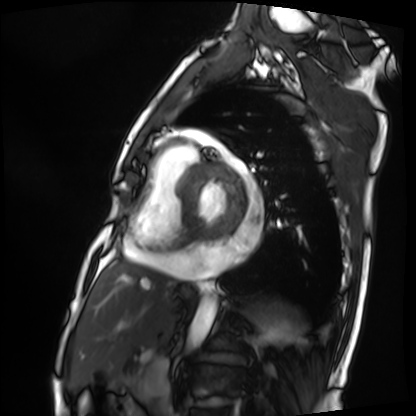
  modality: cardiac MRI
  cohort: patient